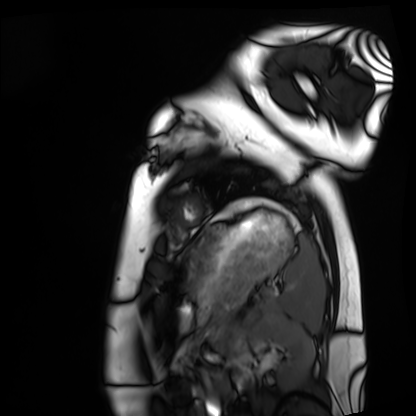
modality: cardiac MRI; subject group: healthy volunteer.